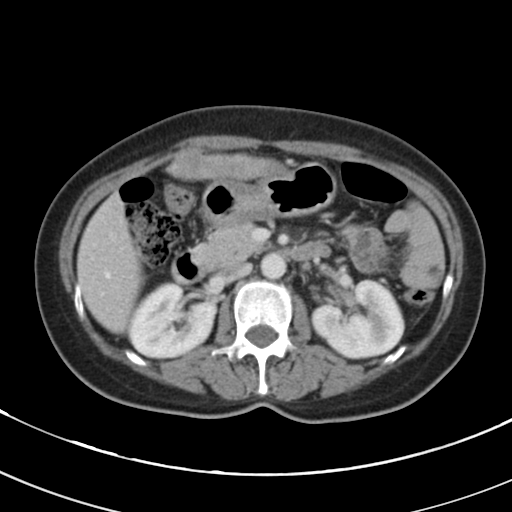
Multiphase abdominal CT, liver, portal venous phase. Patient: female, age 56. History: cirrhosis, viral hepatitis.